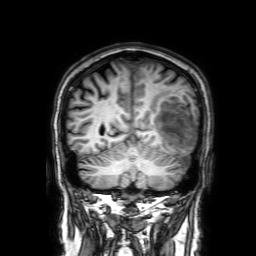
Summary:
3 Tesla brain MRI. Study: ring-enhancing brain masses.